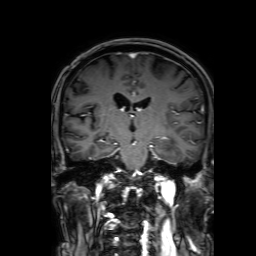
Summary:
3 Tesla brain MRI. Series: 3D T1-weighted with SENSE. Study: ring-enhancing brain masses.